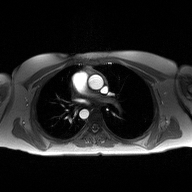
2D phase-contrast cine MRI of the ascending aorta, high-resolution GRAPPA acquisition.